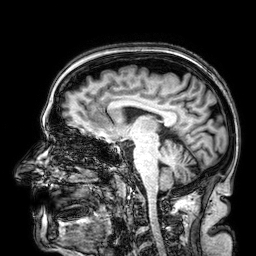
3 Tesla brain MRI.
Series: 3D T1-weighted.
Study: ring-enhancing brain masses.